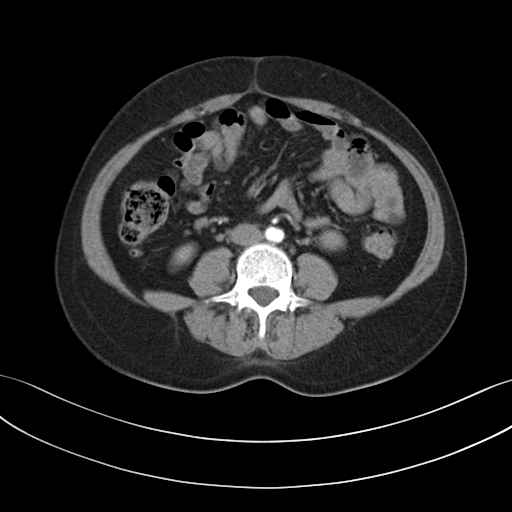
modality: multiphase abdominal CT, liver, arterial phase; patient: female, age 44; history: prior chemotherapy.